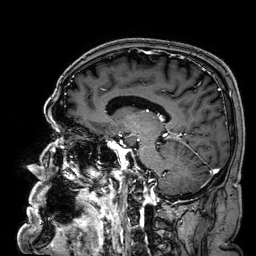
3 Tesla brain MRI. Series: 3D T1-weighted. Study: ring-enhancing brain masses.